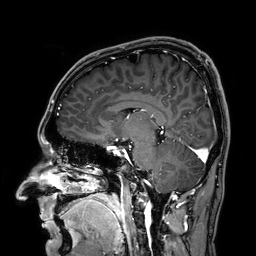
Summary: 3 Tesla brain MRI. Series: 3D T1-weighted. Study: ring-enhancing brain masses.